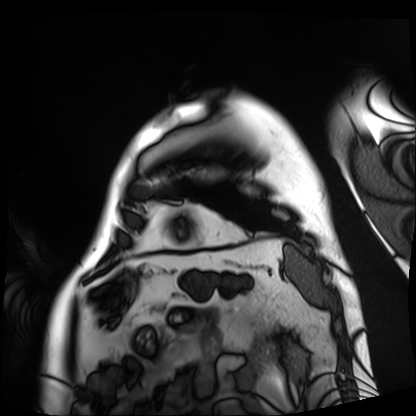
– modality · cardiac MRI
– subject group · patient